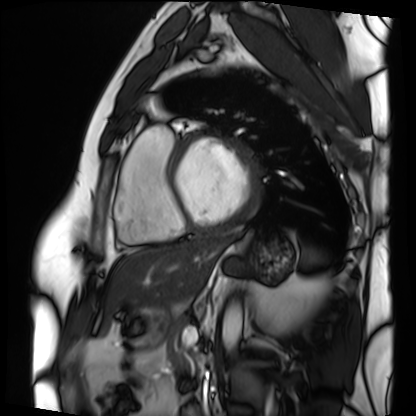
Case summary: Cardiac MRI. Subject group: patient.